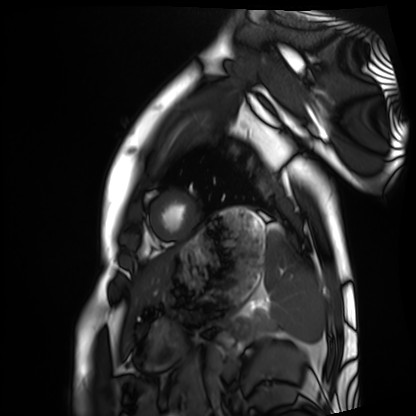
Q: What kind of scan is this?
A: Cardiac MRI.
Subject group: healthy volunteer.